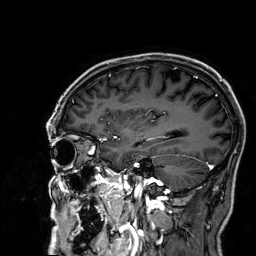
{
  "modality": {
    "type": "brain MRI",
    "field_strength": "3T"
  },
  "series": "3D T1-weighted",
  "study_topic": "ring-enhancing brain masses"
}